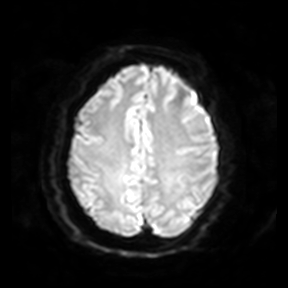
{
  "modality": {
    "type": "brain MRI",
    "field_strength": "3T"
  },
  "series": "diffusion-weighted imaging",
  "study_topic": "ring-enhancing brain masses"
}